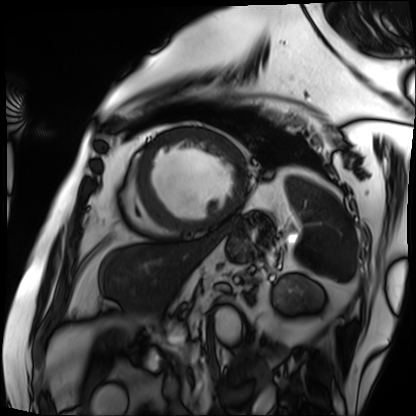
Clinical context: Cardiac MRI. Subject group: patient.